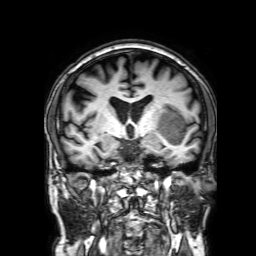
modality: 3 Tesla brain MRI; series: 3D T1-weighted with SENSE; study: ring-enhancing brain masses.